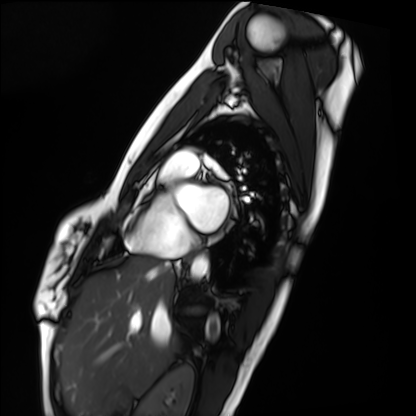
• modality — cardiac MRI
• subject group — healthy volunteer